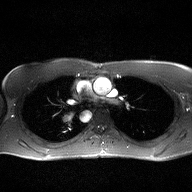
2D phase-contrast cine MRI of the ascending aorta, high-resolution GRAPPA acquisition.